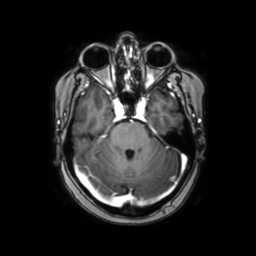
3 Tesla brain MRI. Series: axial with contrast. Study: ring-enhancing brain masses.